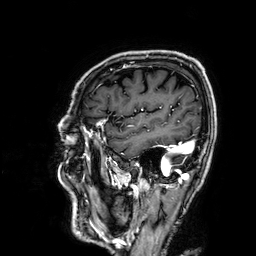
Case summary:
3 Tesla brain MRI. Series: 3D T1-weighted. Study: ring-enhancing brain masses.